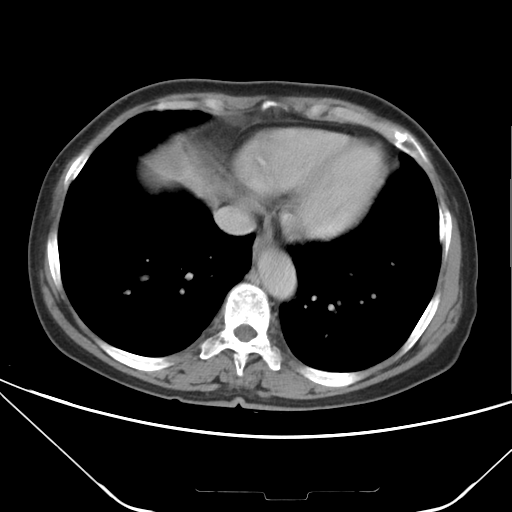
modality: multiphase abdominal CT, liver, delayed phase
patient: female, age 67